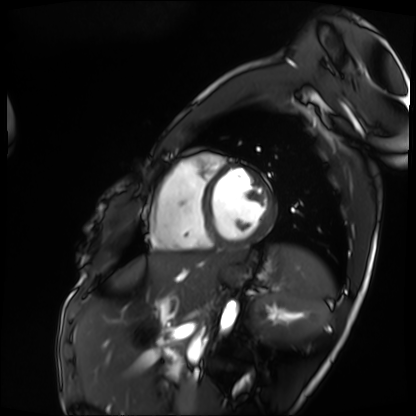
Summary: Cardiac MRI. Subject group: patient.